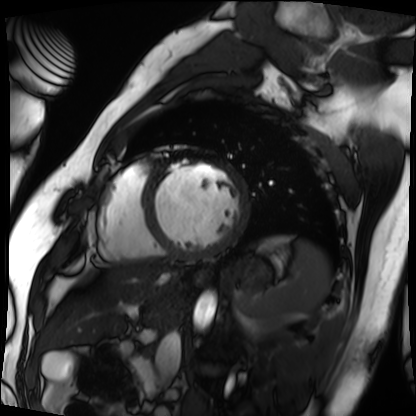
Cardiac MRI. Subject group: patient.